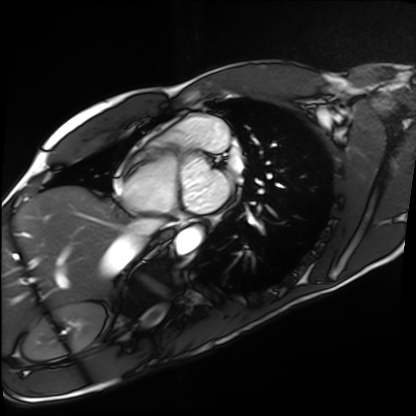
Summary: Cardiac MRI. Subject group: healthy volunteer.